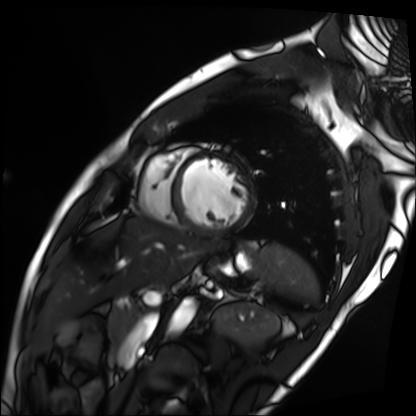
modality: cardiac MRI; subject group: patient.